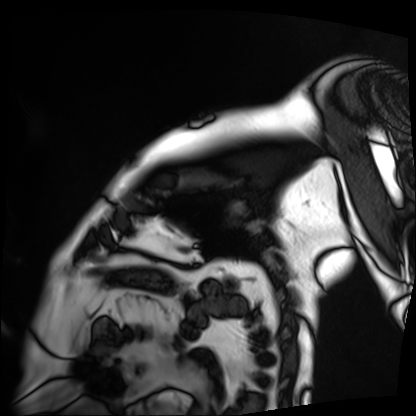
– modality · cardiac MRI
– subject group · patient